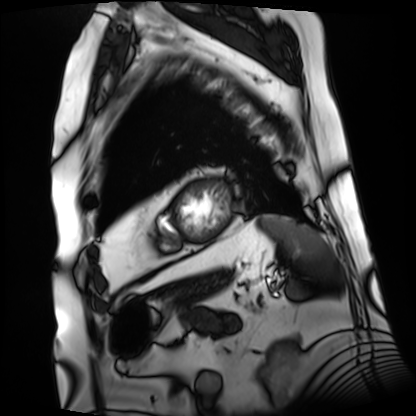
modality=cardiac MRI; subject group=patient.